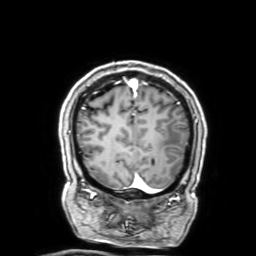
Case summary: 3 Tesla brain MRI. Series: 3D T1-weighted with SENSE. Study: ring-enhancing brain masses.